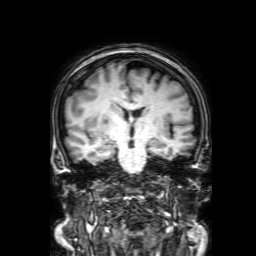
3 Tesla brain MRI. Series: 3D T1-weighted with SENSE. Study: ring-enhancing brain masses.